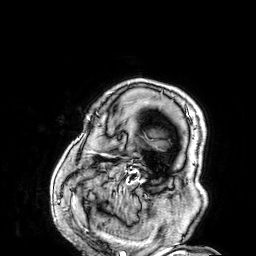
Summary:
3 Tesla brain MRI. Series: 3D T1-weighted. Study: ring-enhancing brain masses.